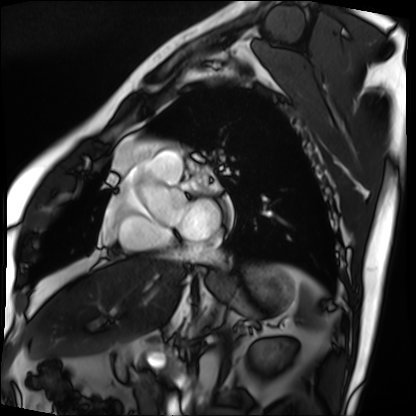
modality = cardiac MRI | subject group = patient.